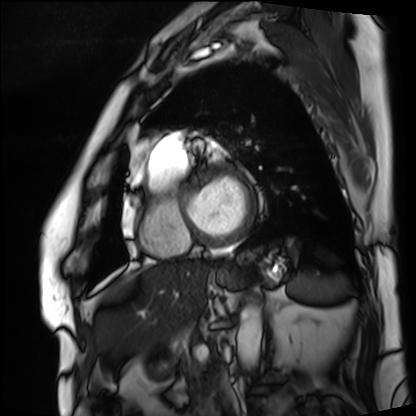
modality: cardiac MRI
cohort: patient